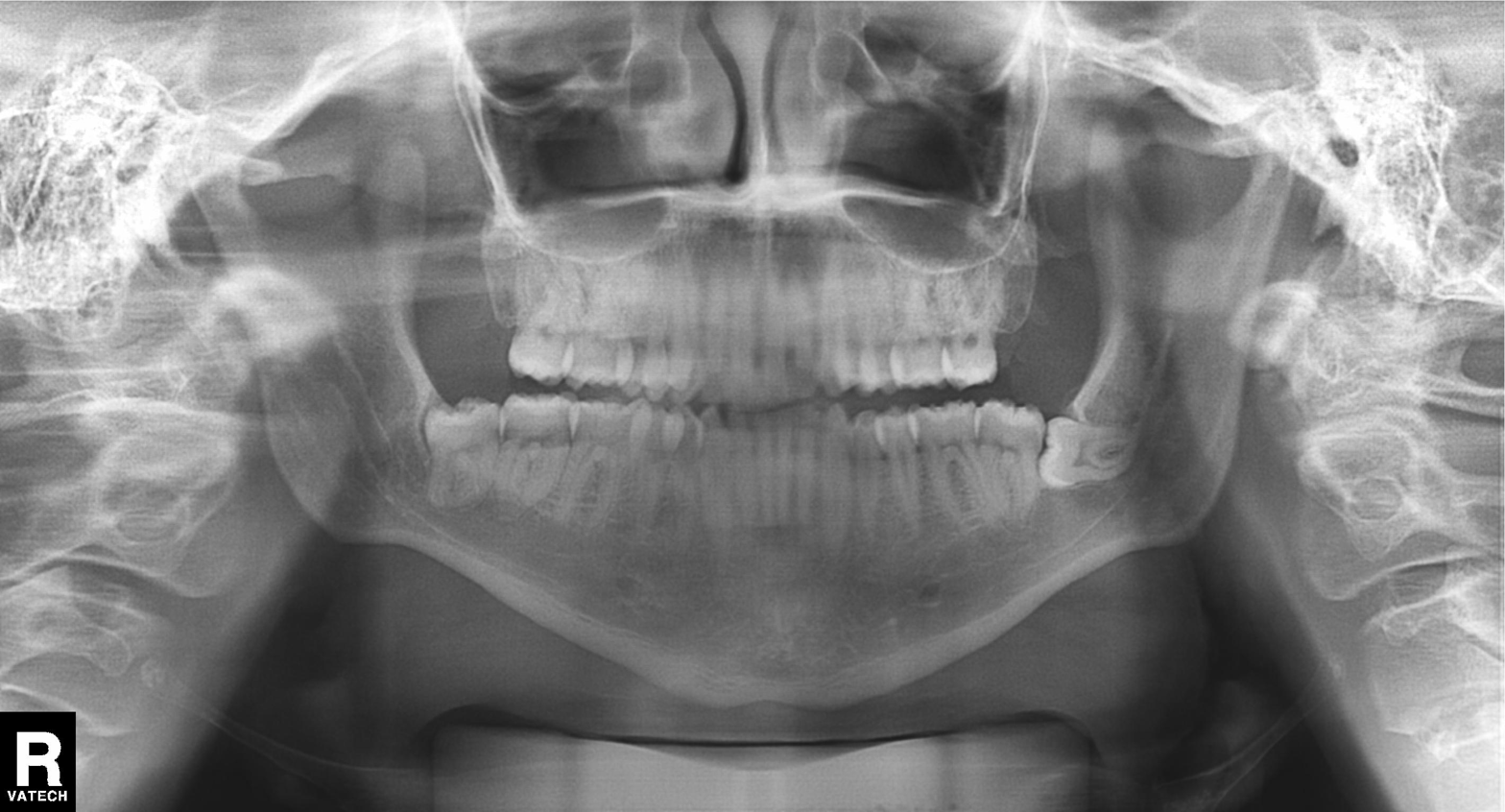
Summary:
Panoramic dental radiograph (orthopantomogram).
Diagnosis:
Alveolar bone loss.